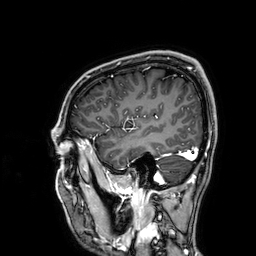
3 Tesla brain MRI. Series: 3D T1-weighted. Study: ring-enhancing brain masses.